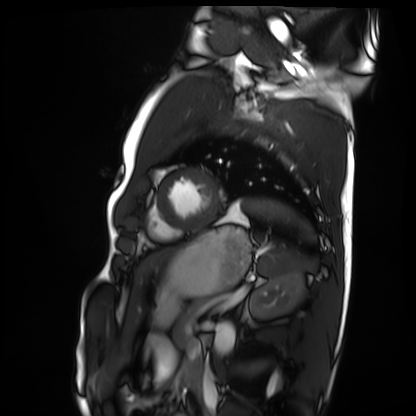
Summary: Cardiac MRI. Subject group: healthy volunteer.